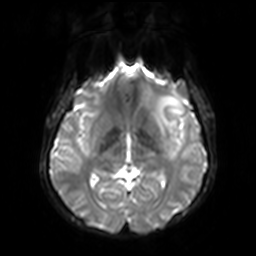
modality: 3 Tesla brain MRI
series: diffusion-weighted imaging with SENSE (WIP)
study: ring-enhancing brain masses